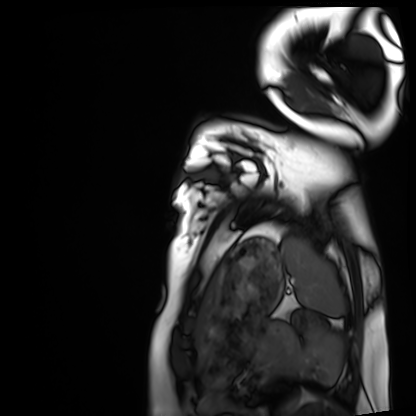
- modality — cardiac MRI
- subject group — healthy volunteer